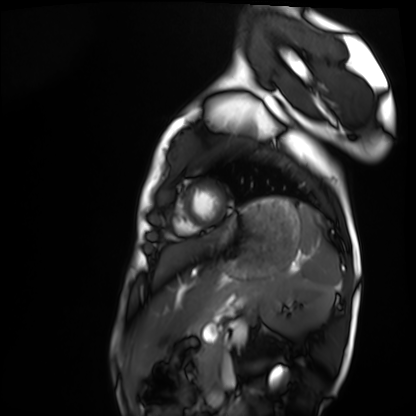
Cardiac MRI. Subject group: healthy volunteer.